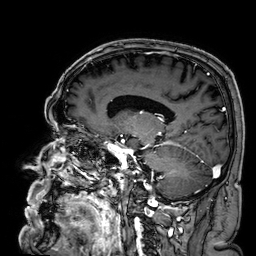
{
  "modality": {
    "type": "brain MRI",
    "field_strength": "3T"
  },
  "series": "3D T1-weighted",
  "study_topic": "ring-enhancing brain masses"
}